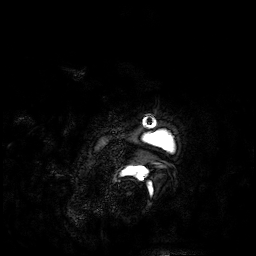
– modality — 3 Tesla brain MRI
– series — 3D T1-weighted
– study — ring-enhancing brain masses